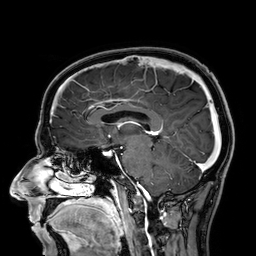
– modality · 3 Tesla brain MRI
– study · ring-enhancing brain masses